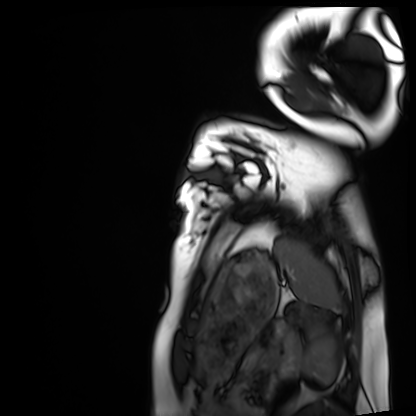
Case summary:
Cardiac MRI. Subject group: healthy volunteer.